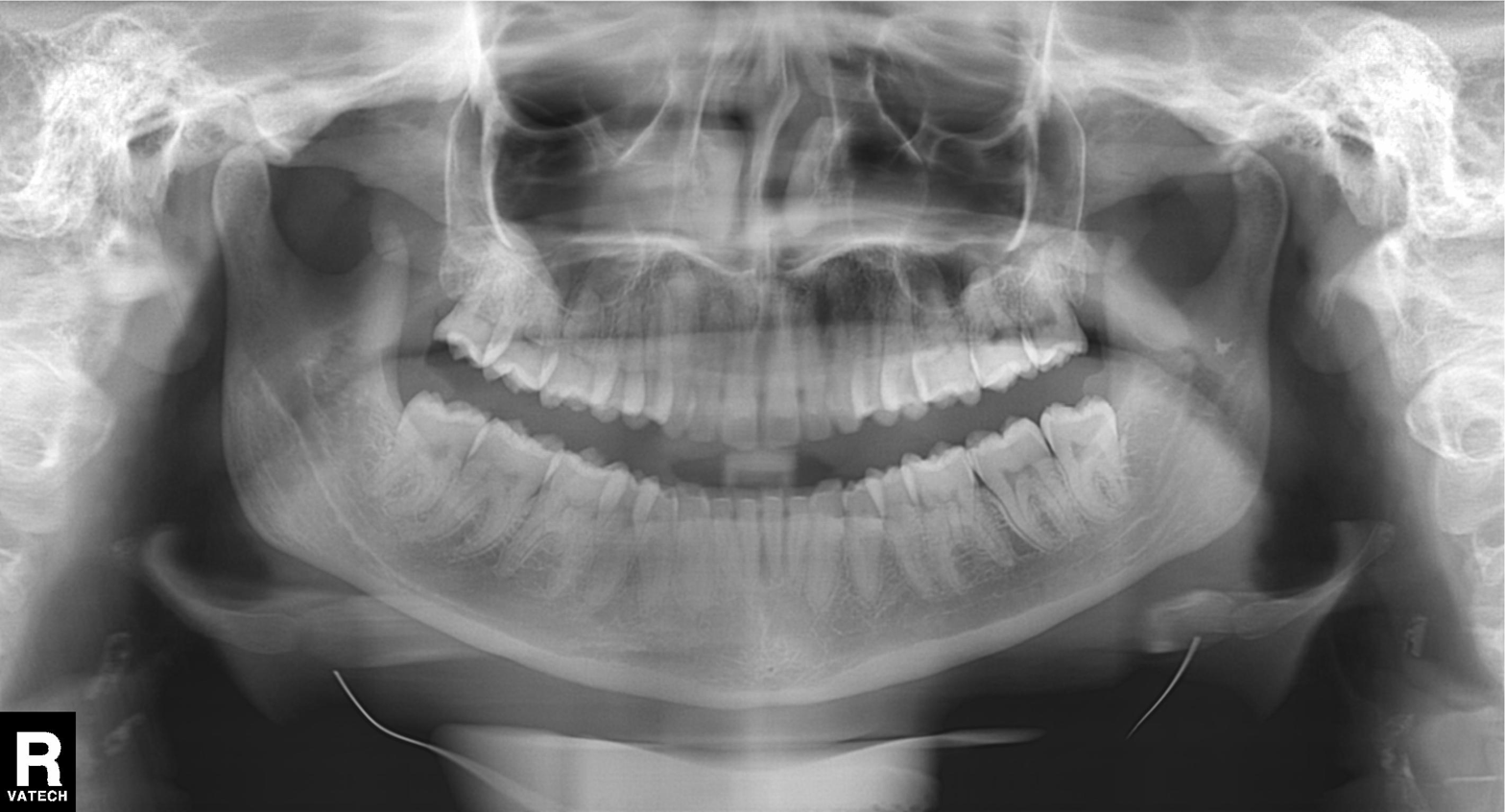
Case summary:
Panoramic dental radiograph (orthopantomogram).
Diagnosis:
No pathological findings.